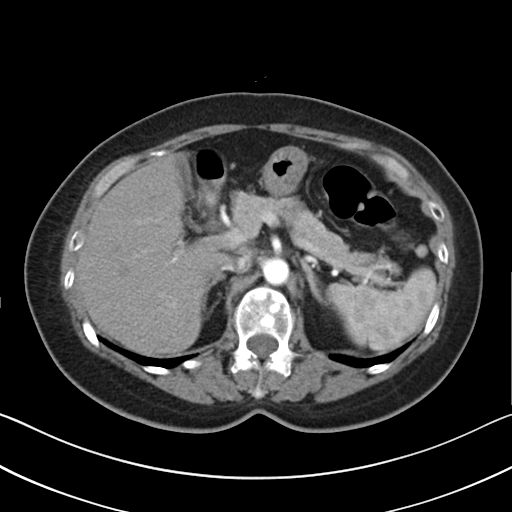
Multiphase abdominal CT, liver, arterial phase.
Patient: female, age 62.
History: prior chemotherapy.